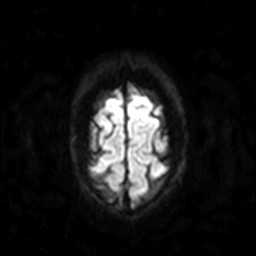
3 Tesla brain MRI. Series: diffusion-weighted imaging. Study: ring-enhancing brain masses.